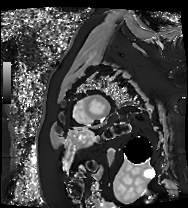
Cardiac MRI. Subject group: patient.